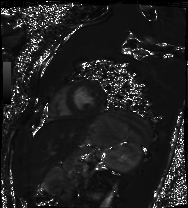
modality=cardiac MRI
subject group=healthy volunteer